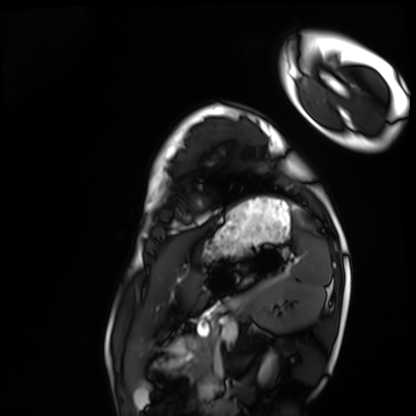
modality: cardiac MRI | subject group: healthy volunteer.